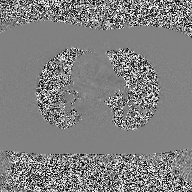
Summary:
2D phase-contrast cine MRI of the ascending aorta, high-resolution GRAPPA acquisition.